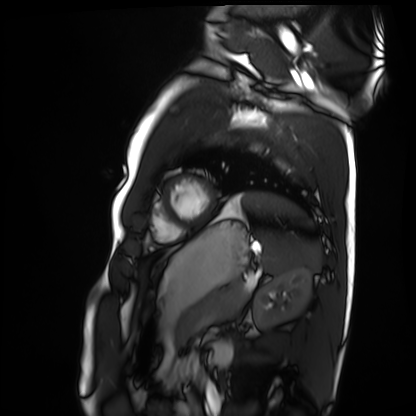
Summary:
Cardiac MRI. Subject group: healthy volunteer.